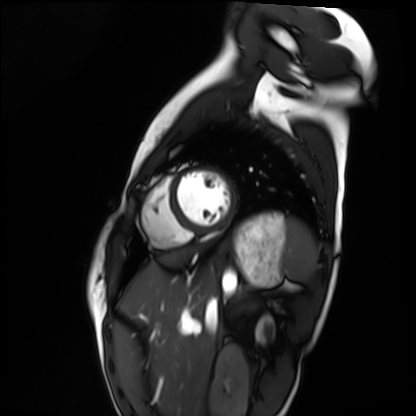
Summary:
Cardiac MRI. Subject group: healthy volunteer.